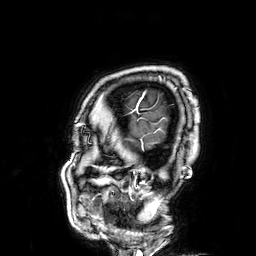
  modality:
    type: brain MRI
    field_strength: 3T
  series: 3D T1-weighted
  study_topic: ring-enhancing brain masses